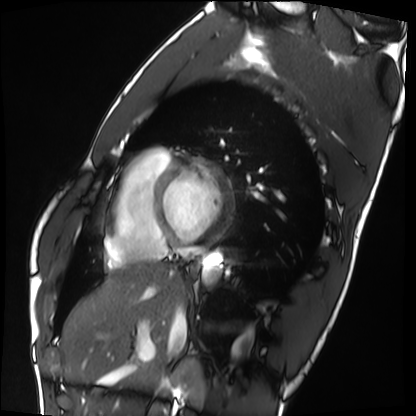
Q: What kind of scan is this?
A: Cardiac MRI.
Subject group: healthy volunteer.